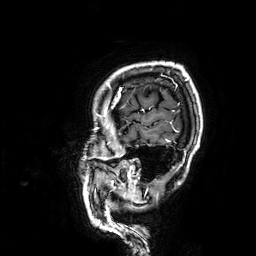
Summary:
3 Tesla brain MRI. Series: 3D T1-weighted. Study: ring-enhancing brain masses.